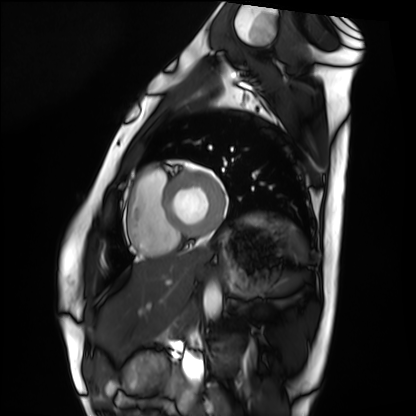
Cardiac MRI.
Subject group: healthy volunteer.